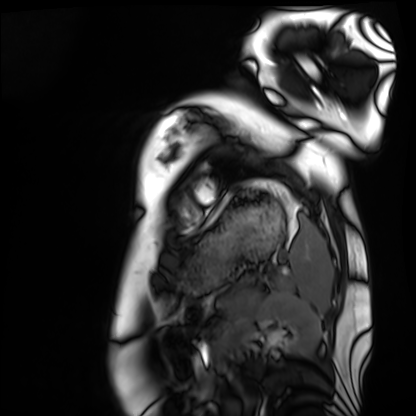
Cardiac MRI. Subject group: healthy volunteer.